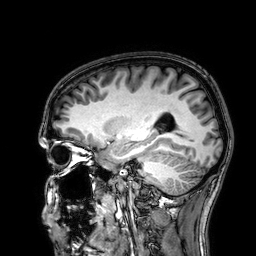
{"modality": {"type": "brain MRI", "field_strength": "3T"}, "series": "3D T1-weighted", "study_topic": "ring-enhancing brain masses"}